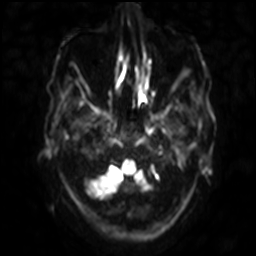
modality = 3 Tesla brain MRI | series = diffusion-weighted imaging with SENSE (WIP) | study = ring-enhancing brain masses.